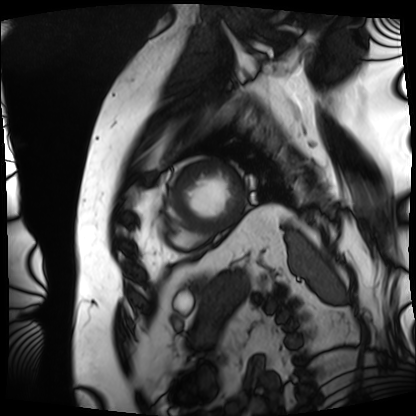
Cardiac MRI. Subject group: patient.